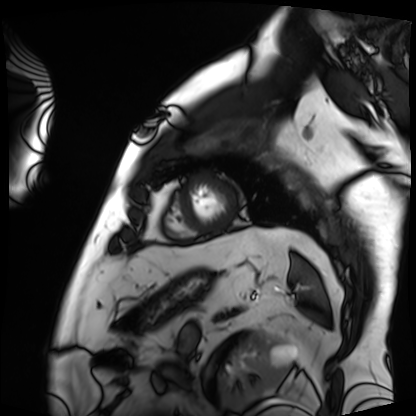
Summary: Cardiac MRI. Subject group: patient.